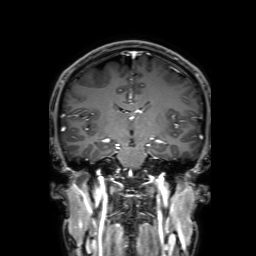
modality: 3 Tesla brain MRI | series: 3D T1-weighted with SENSE | study: ring-enhancing brain masses.